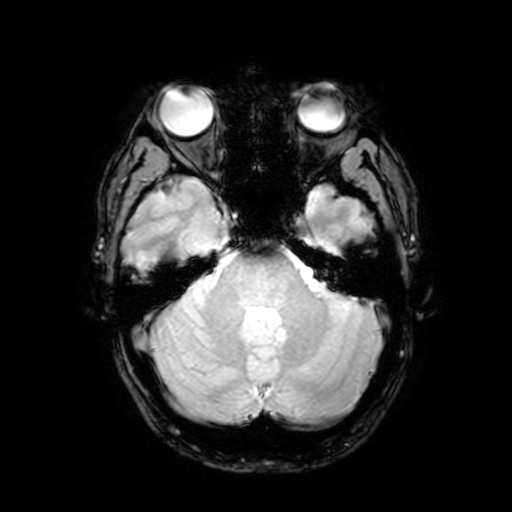
modality: 3 Tesla brain MRI | series: T2-weighted fast field echo with SENSE | study: ring-enhancing brain masses.